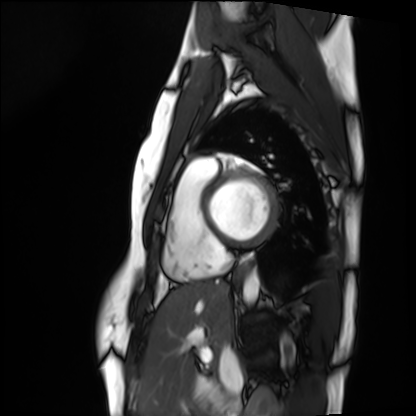
Summary: Cardiac MRI. Subject group: healthy volunteer.